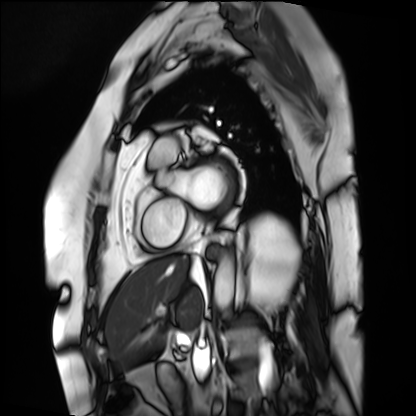
* modality · cardiac MRI
* subject group · patient